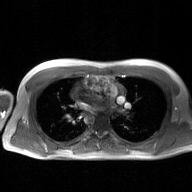
modality — 2D phase-contrast cine MRI of the ascending aorta, GAN super-resolution reconstruction.